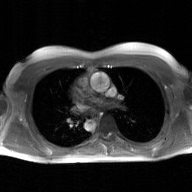
modality=2D phase-contrast cine MRI of the ascending aorta, GAN super-resolution reconstruction.